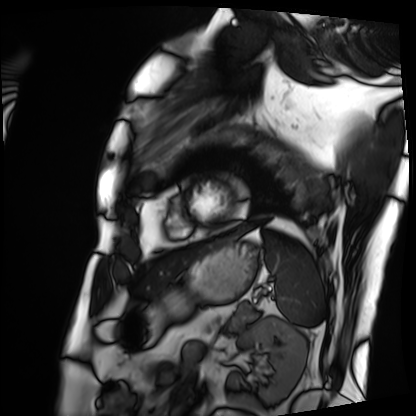
Cardiac MRI. Subject group: patient.